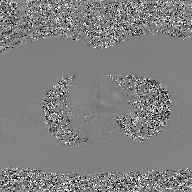
{"modality": {"type": "2D phase-contrast cine MRI", "region": "ascending aorta", "reconstruction": "GAN super-resolution reconstruction"}}